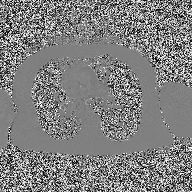
Q: What kind of scan is this?
A: 2D phase-contrast cine MRI of the ascending aorta.